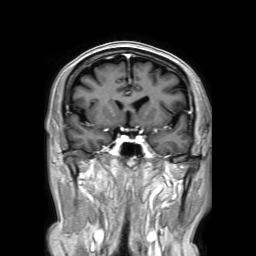
Summary:
3 Tesla brain MRI. Series: 3D T1-weighted TFE with SENSE. Study: ring-enhancing brain masses.